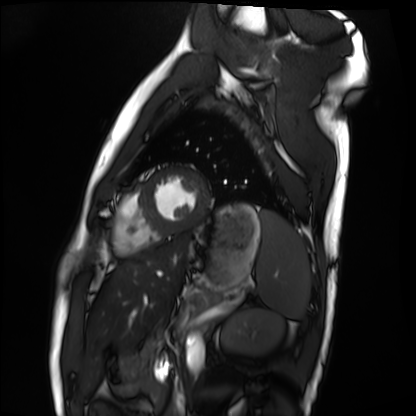
modality = cardiac MRI | subject group = healthy volunteer.